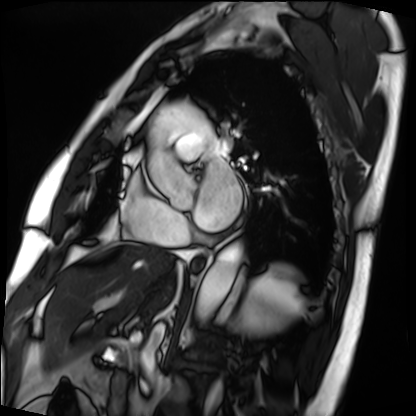
modality: cardiac MRI; subject group: patient.